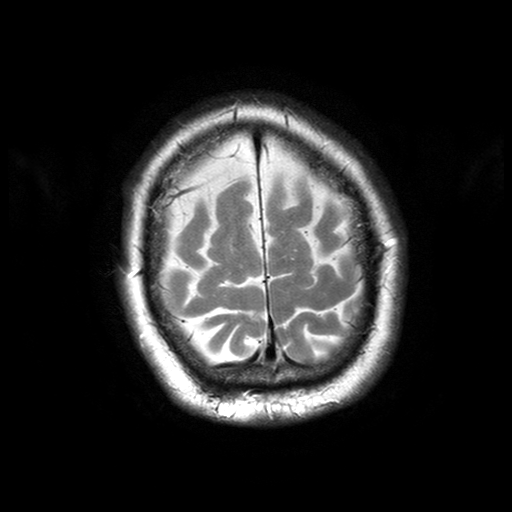
Case:
– modality: 3 Tesla brain MRI
– series: T2-weighted turbo spin echo with SENSE
– study: ring-enhancing brain masses